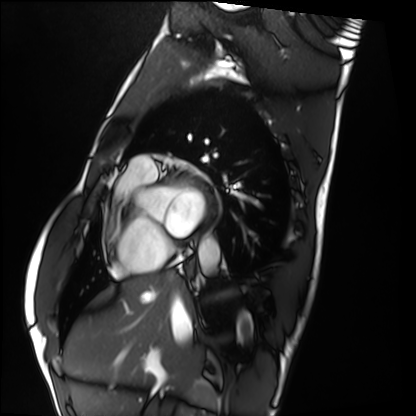
{
  "modality": "cardiac MRI",
  "cohort": "healthy volunteer"
}